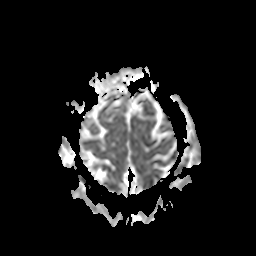
Clinical context:
3 Tesla brain MRI. Series: apparent diffusion coefficient (ADC) map. Study: ring-enhancing brain masses.